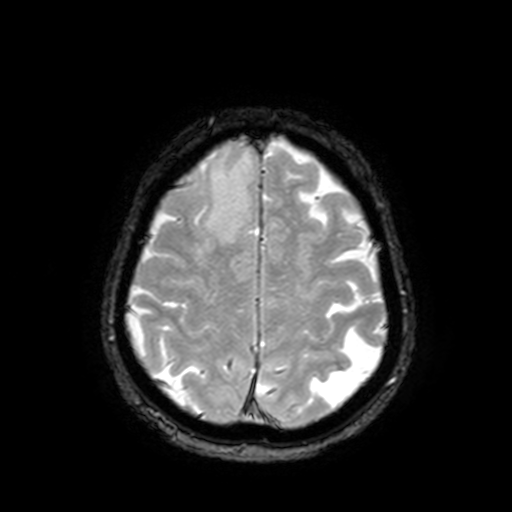
{"modality": {"type": "brain MRI", "field_strength": "3T"}, "series": "T2-weighted fast field echo with SENSE", "study_topic": "ring-enhancing brain masses"}